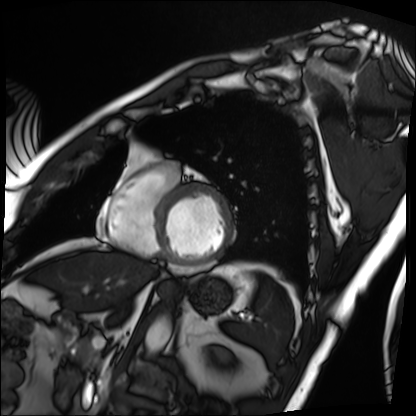
Case summary:
Cardiac MRI. Subject group: patient.